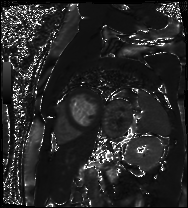
Summary: Cardiac MR image of the myocardium. Subject cohort: cardiac patient.